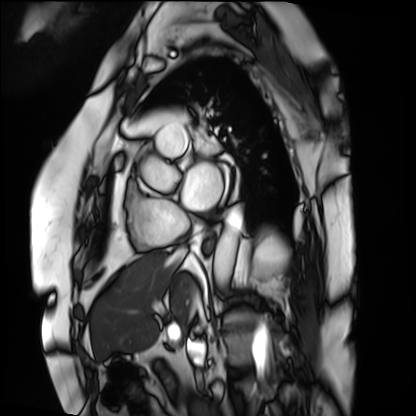
{"modality": "cardiac MRI", "cohort": "patient"}